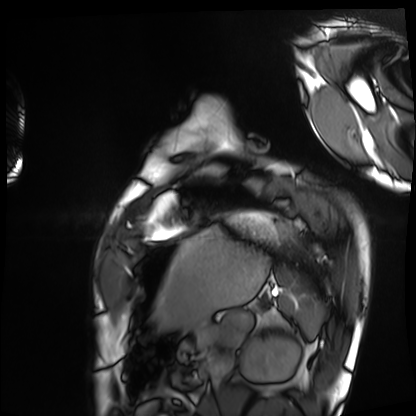
Summary:
Cardiac MRI. Subject group: healthy volunteer.